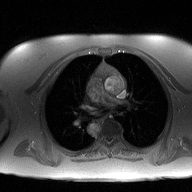
  modality:
    type: 2D phase-contrast cine MRI
    region: ascending aorta
    reconstruction: high-resolution GRAPPA acquisition